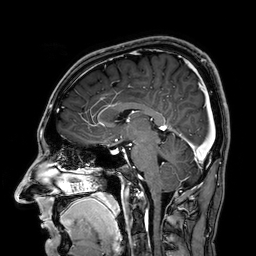
Case:
– modality — 3 Tesla brain MRI
– series — 3D T1-weighted
– study — ring-enhancing brain masses